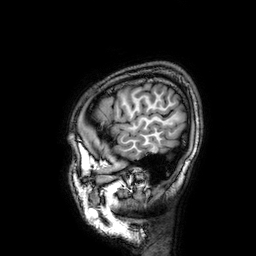
Case summary: 3 Tesla brain MRI. Series: 3D T1-weighted. Study: ring-enhancing brain masses.